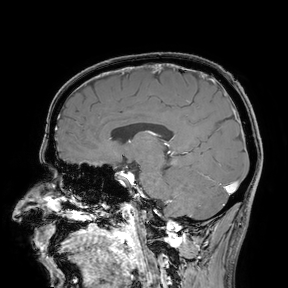
modality: 3 Tesla brain MRI
study: ring-enhancing brain masses